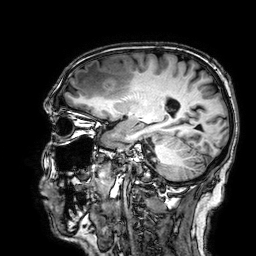
3 Tesla brain MRI. Series: 3D T1-weighted. Study: ring-enhancing brain masses.